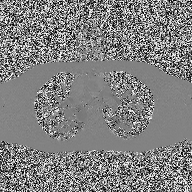
| field | value |
|---|---|
| modality | 2D phase-contrast cine MRI of the ascending aorta |